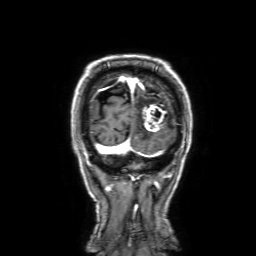
3 Tesla brain MRI.
Series: 3D T1-weighted with SENSE.
Study: ring-enhancing brain masses.